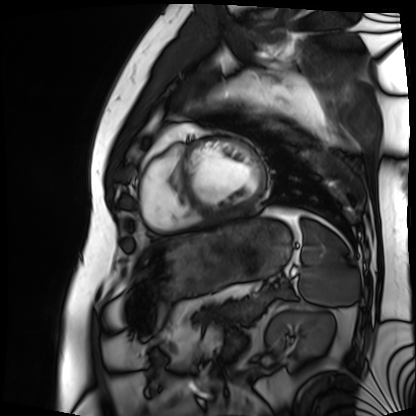
modality: cardiac MRI, subject group: patient.